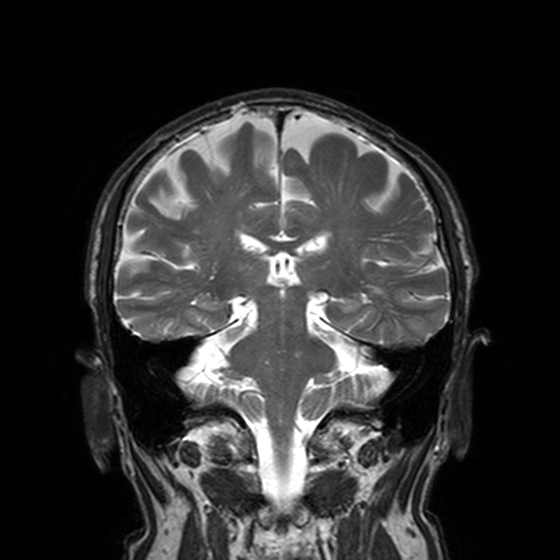
3 Tesla brain MRI.
Study: ring-enhancing brain masses.